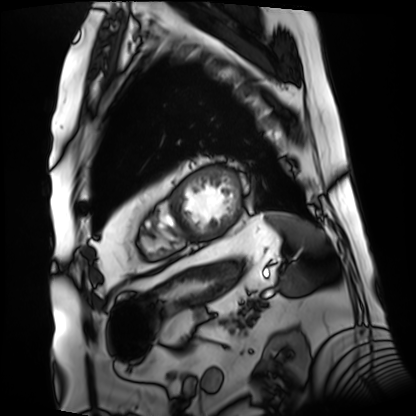
modality = cardiac MRI
subject group = patient